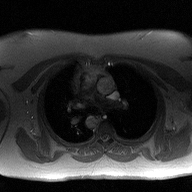
Case summary: 2D phase-contrast cine MRI of the ascending aorta, high-resolution GRAPPA acquisition.